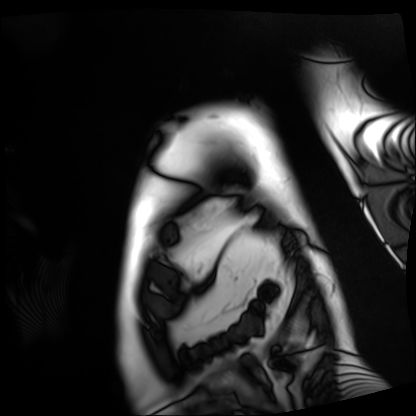
Cardiac MRI.
Subject group: patient.